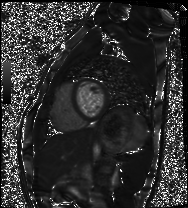
Cardiac MRI. Subject group: healthy volunteer.